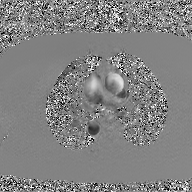
2D phase-contrast cine MRI of the ascending aorta, GAN super-resolution reconstruction.